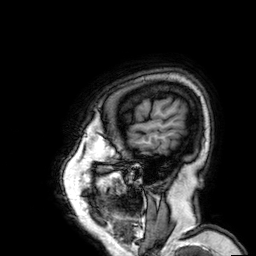
Q: What kind of scan is this?
A: 3 Tesla brain MRI.
Q: Series?
A: 3D T1-weighted.
Study: ring-enhancing brain masses.